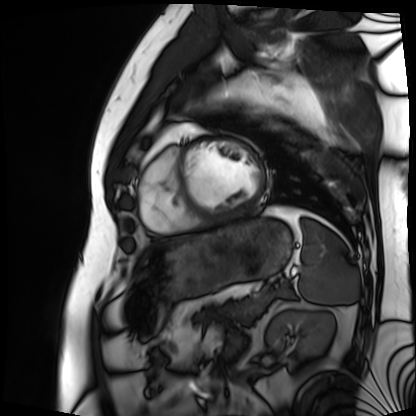
{"modality": "cardiac MRI", "cohort": "patient"}